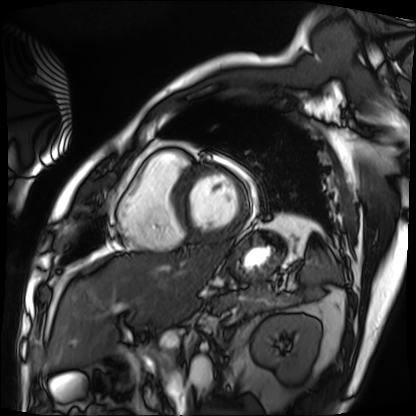
Case:
– modality · cardiac MRI
– subject group · patient